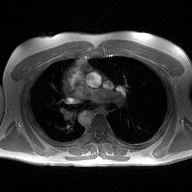
Case summary:
2D phase-contrast cine MRI of the ascending aorta, high-resolution GRAPPA acquisition.